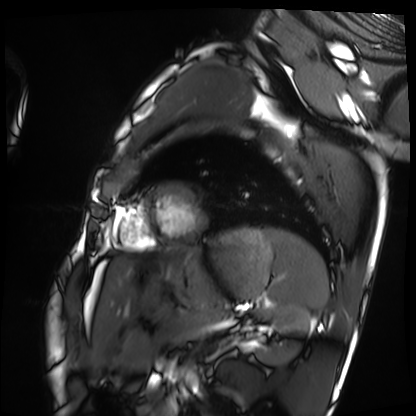
Cardiac MRI. Subject group: healthy volunteer.